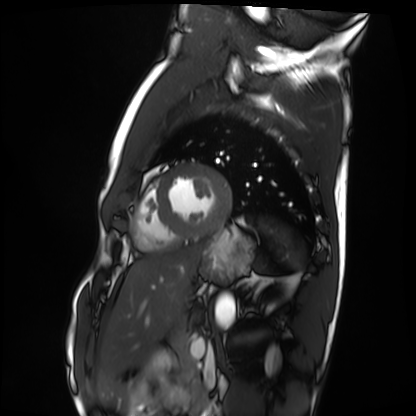
Cardiac MRI. Subject group: healthy volunteer.